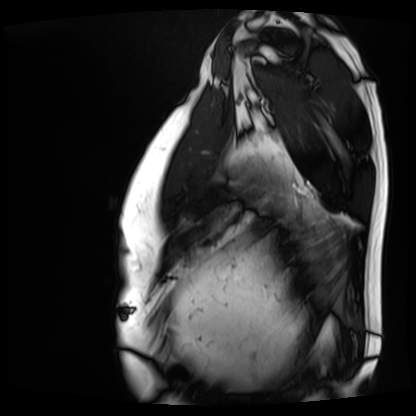
| field | value |
|---|---|
| modality | cardiac MRI |
| subject group | patient |